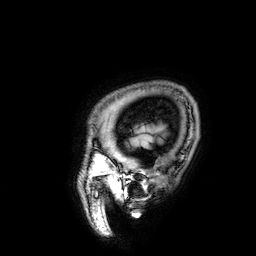
<study>
<modality>
  <type>brain MRI</type>
  <field_strength>3T</field_strength>
</modality>
<series>3D T1-weighted</series>
<study_topic>ring-enhancing brain masses</study_topic>
</study>